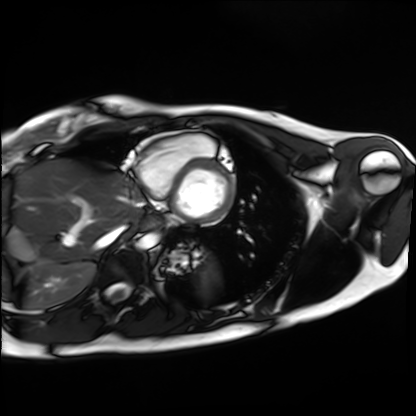
| field | value |
|---|---|
| modality | cardiac MRI |
| subject group | healthy volunteer |